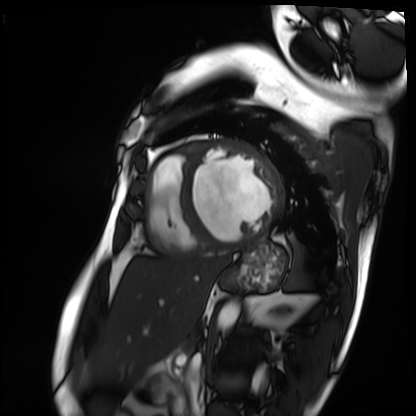
Summary:
Cardiac MRI. Subject group: patient.